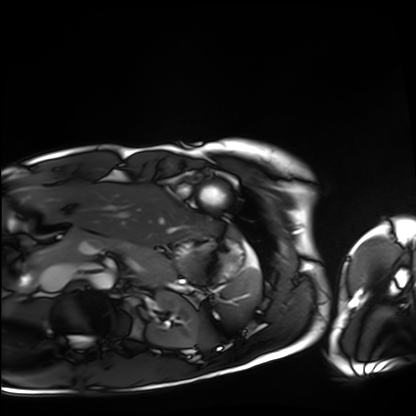
Cardiac MRI. Subject group: healthy volunteer.